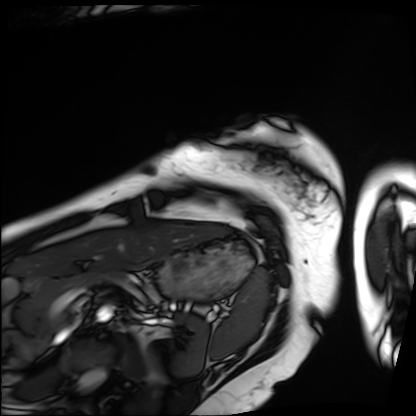
modality: cardiac MRI
subject group: patient